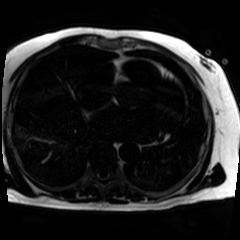
modality: chemical-shift-encoded cardiac MRI.